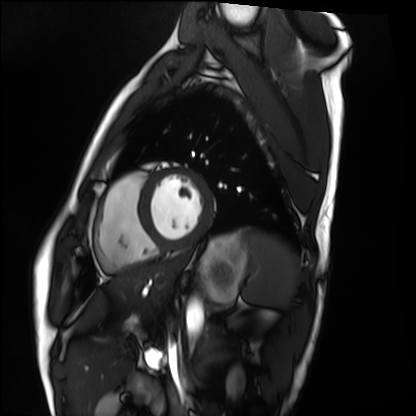
Cardiac MRI.
Subject group: healthy volunteer.